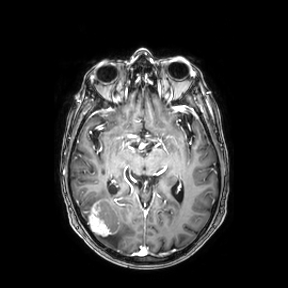
Summary: 3 Tesla brain MRI. Study: ring-enhancing brain masses.